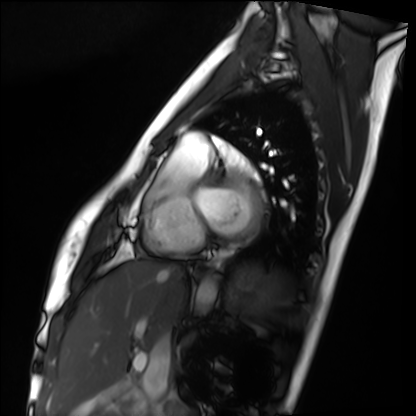
modality=cardiac MRI | subject group=healthy volunteer.